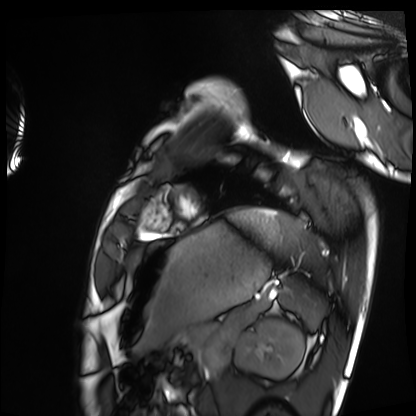
Case:
- modality: cardiac MRI
- subject group: healthy volunteer